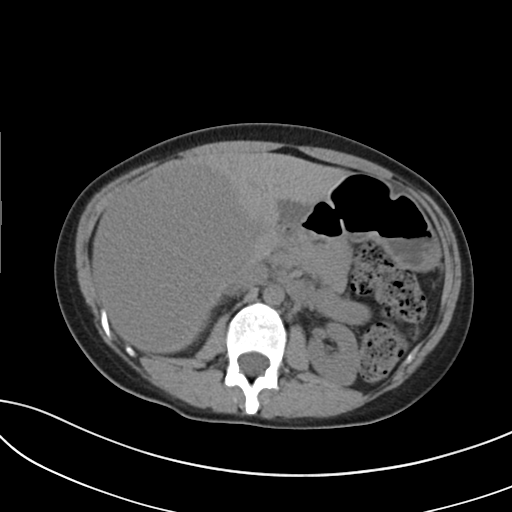
Case:
- modality · multiphase abdominal CT, liver, non-contrast phase
- patient · male, age 35